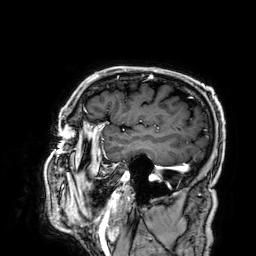
Q: What kind of scan is this?
A: 3 Tesla brain MRI.
Q: Series?
A: 3D T1-weighted.
Study: ring-enhancing brain masses.